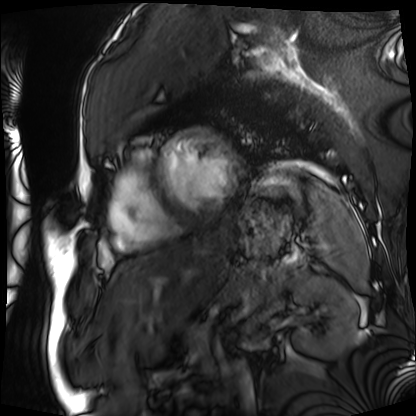
Cardiac MRI. Subject group: patient.